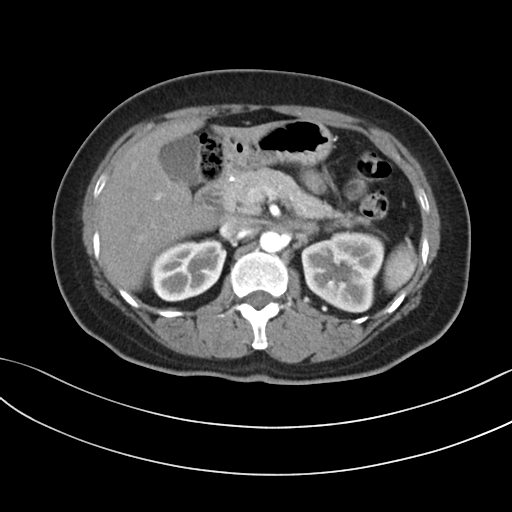
  modality:
    type: multiphase abdominal CT
    region: liver
    phase: arterial
  patient:
    sex: female
    age: 48